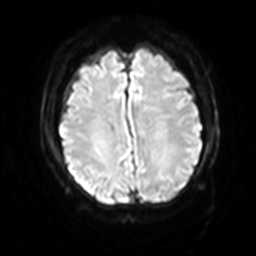
Case summary:
3 Tesla brain MRI. Series: diffusion-weighted imaging with SENSE (WIP). Study: ring-enhancing brain masses.